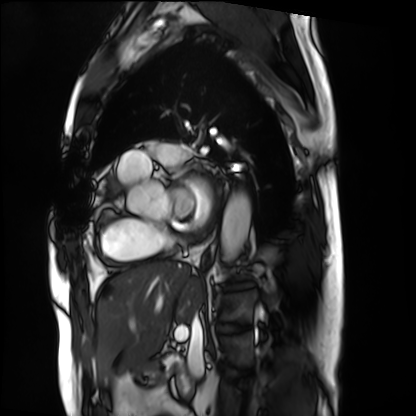
Cardiac MRI. Subject group: patient.